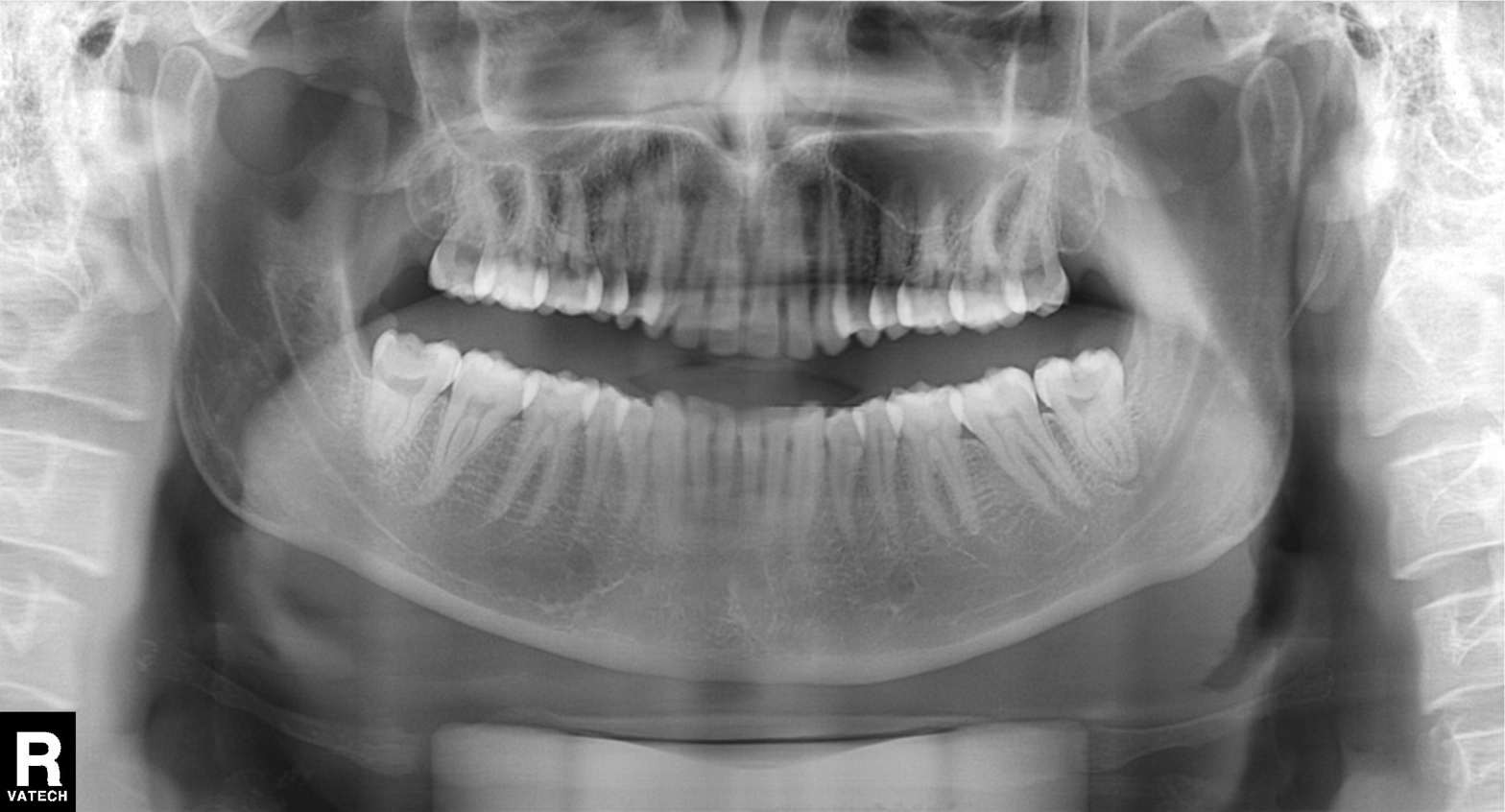
Findings:
- modality — panoramic dental radiograph (orthopantomogram)
- finding — tooth impaction